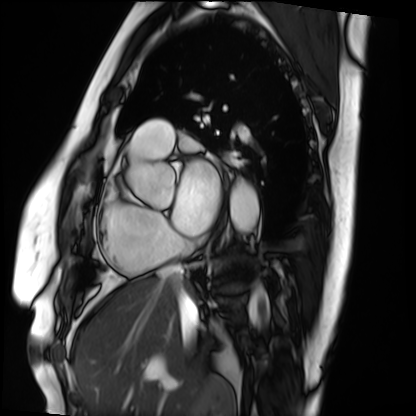
Case summary: Cardiac MRI. Subject group: patient.